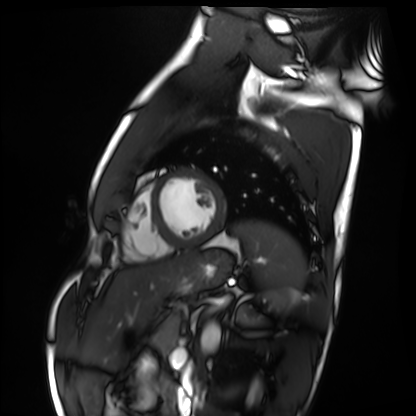
Cardiac MRI. Subject group: healthy volunteer.